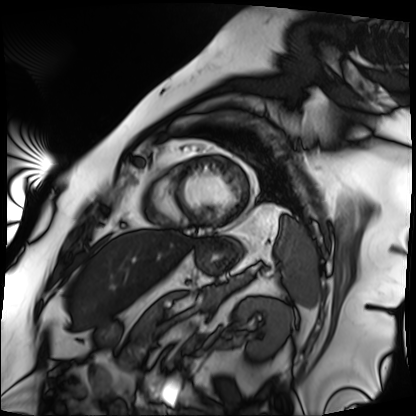
Cardiac MRI.
Subject group: patient.